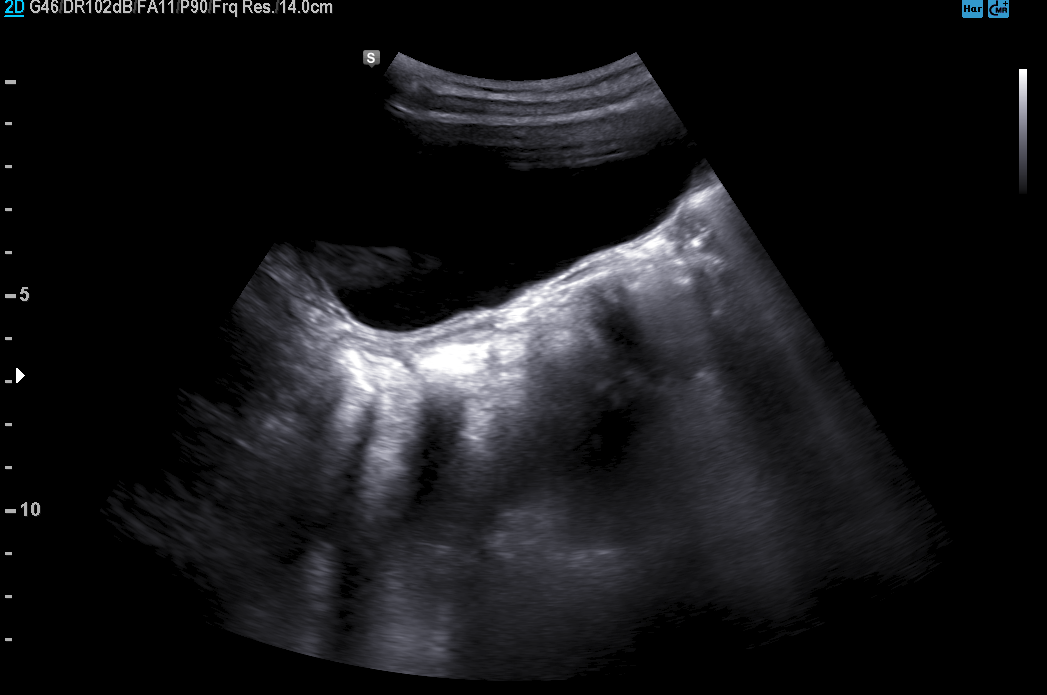
Clinical context: Genitourinary ultrasound.